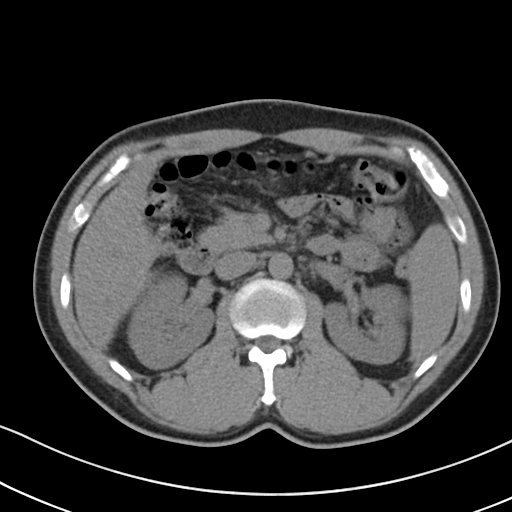
Multiphase abdominal CT, liver, non-contrast phase. Patient: male, age 41. History: cirrhosis, viral hepatitis.